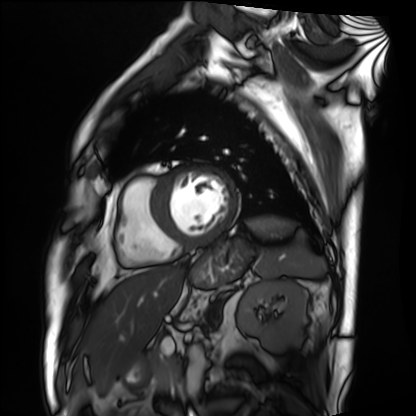
Cardiac MRI. Subject group: patient.